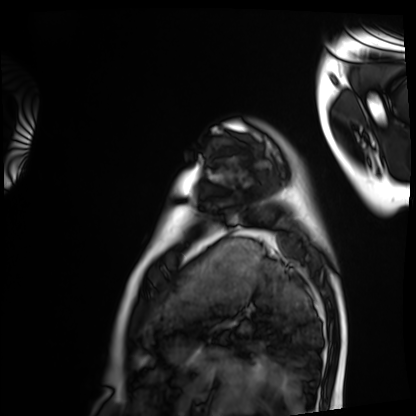
Case summary:
Cardiac MRI. Subject group: healthy volunteer.